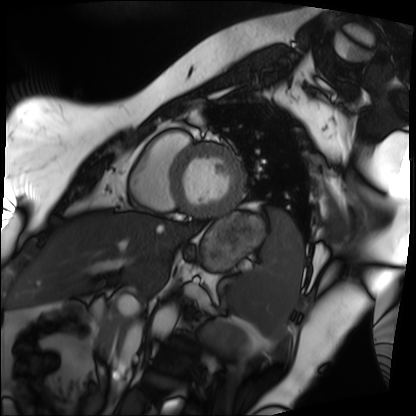
Cardiac MRI. Subject group: patient.